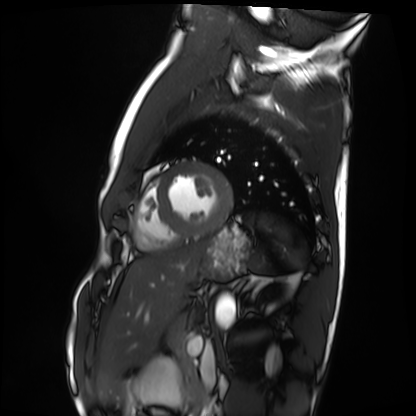
Cardiac MRI.
Subject group: healthy volunteer.